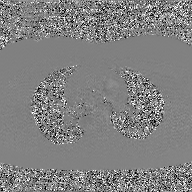
{
  "modality": {
    "type": "2D phase-contrast cine MRI",
    "region": "ascending aorta",
    "reconstruction": "GAN super-resolution reconstruction"
  }
}